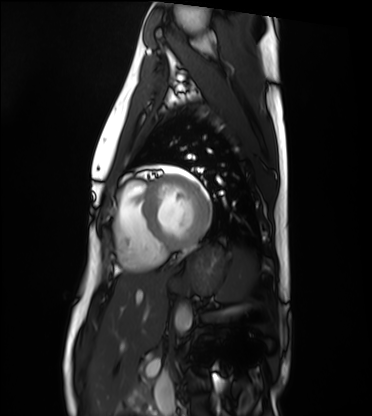
modality: cardiac MRI | subject group: healthy volunteer.